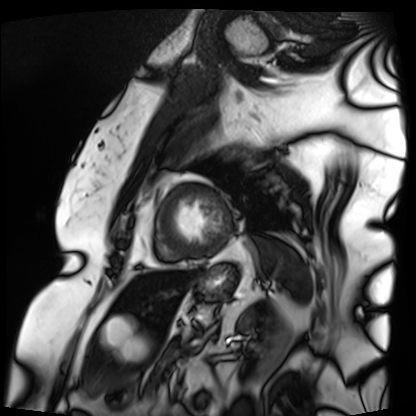
Cardiac MRI. Subject group: patient.